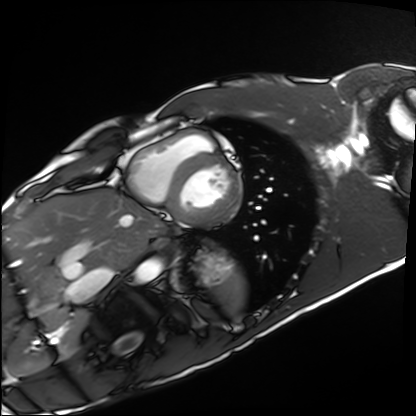
* modality: cardiac MRI
* subject group: healthy volunteer